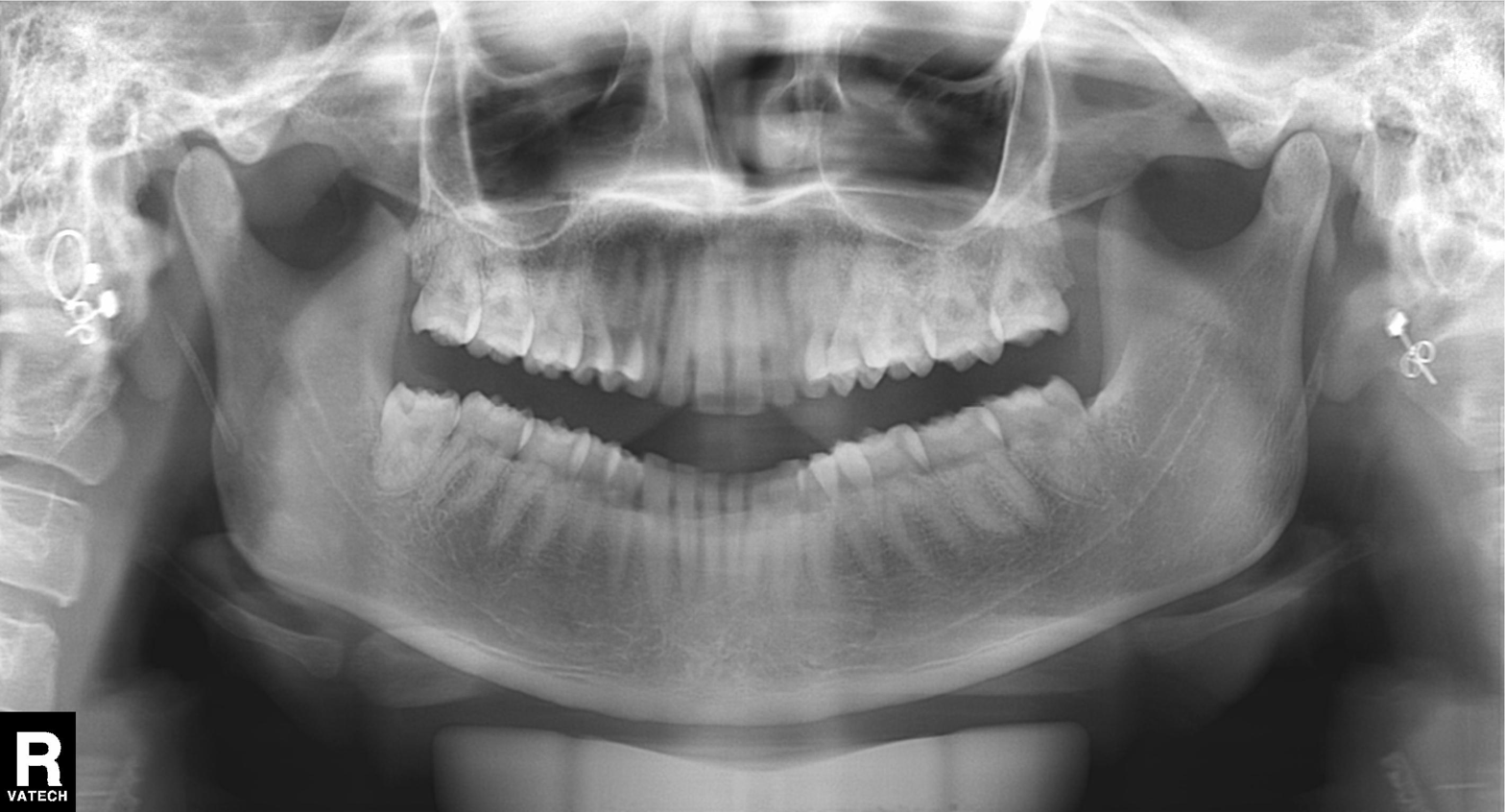
modality: panoramic dental radiograph (orthopantomogram)
finding: dental caries (cavities)